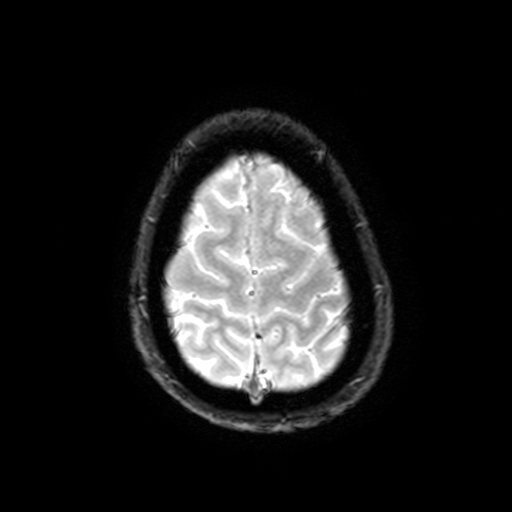
3 Tesla brain MRI. Series: T2-weighted fast field echo with SENSE. Study: ring-enhancing brain masses.